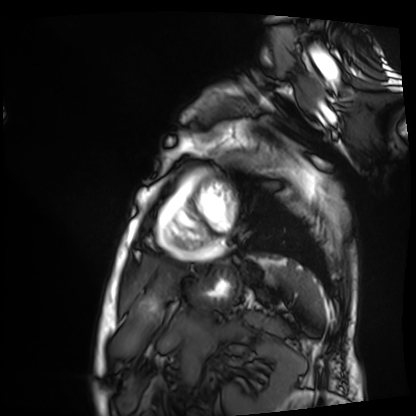
Cardiac MRI.
Subject group: patient.